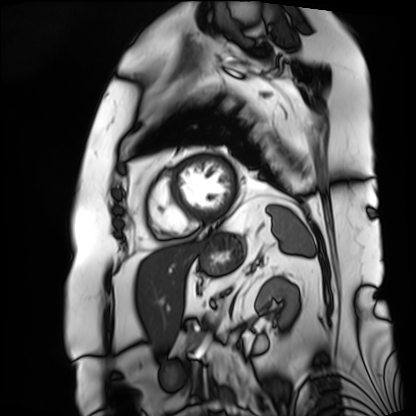
Cardiac MRI. Subject group: patient.